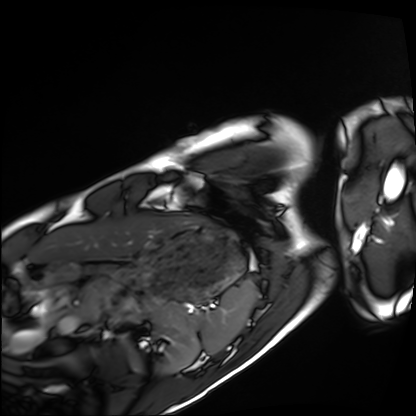
modality: cardiac MRI | subject group: healthy volunteer.